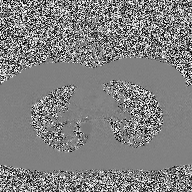
2D phase-contrast cine MRI of the ascending aorta, high-resolution GRAPPA acquisition.